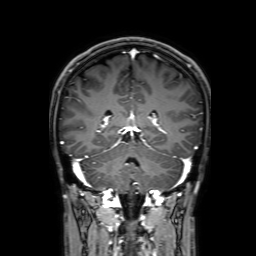
3 Tesla brain MRI. Series: 3D T1-weighted with SENSE. Study: ring-enhancing brain masses.